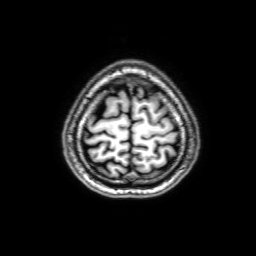
3 Tesla brain MRI.
Series: 3D T1-weighted with SENSE.
Study: ring-enhancing brain masses.